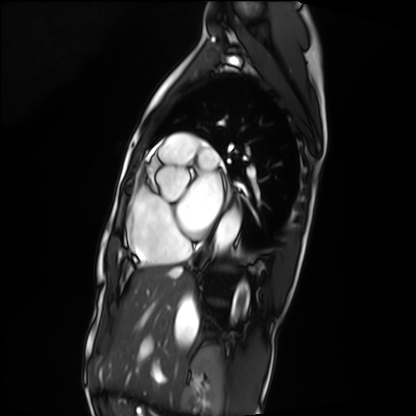
Cardiac MRI. Subject group: patient.